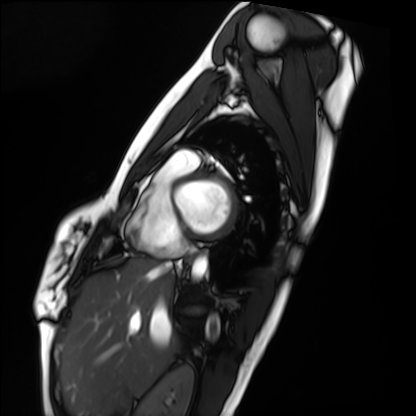
modality = cardiac MRI | subject group = healthy volunteer.